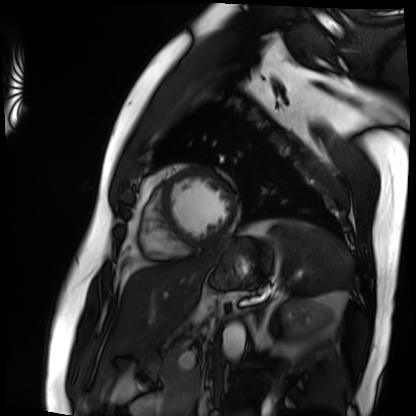
Q: What kind of scan is this?
A: Cardiac MRI.
Subject group: patient.